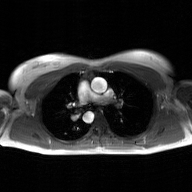
- modality · 2D phase-contrast cine MRI of the ascending aorta, GAN super-resolution reconstruction